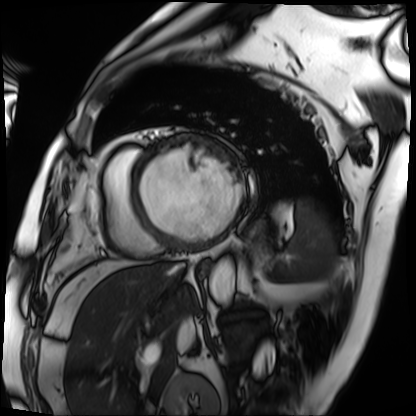
Cardiac MRI.
Subject group: patient.